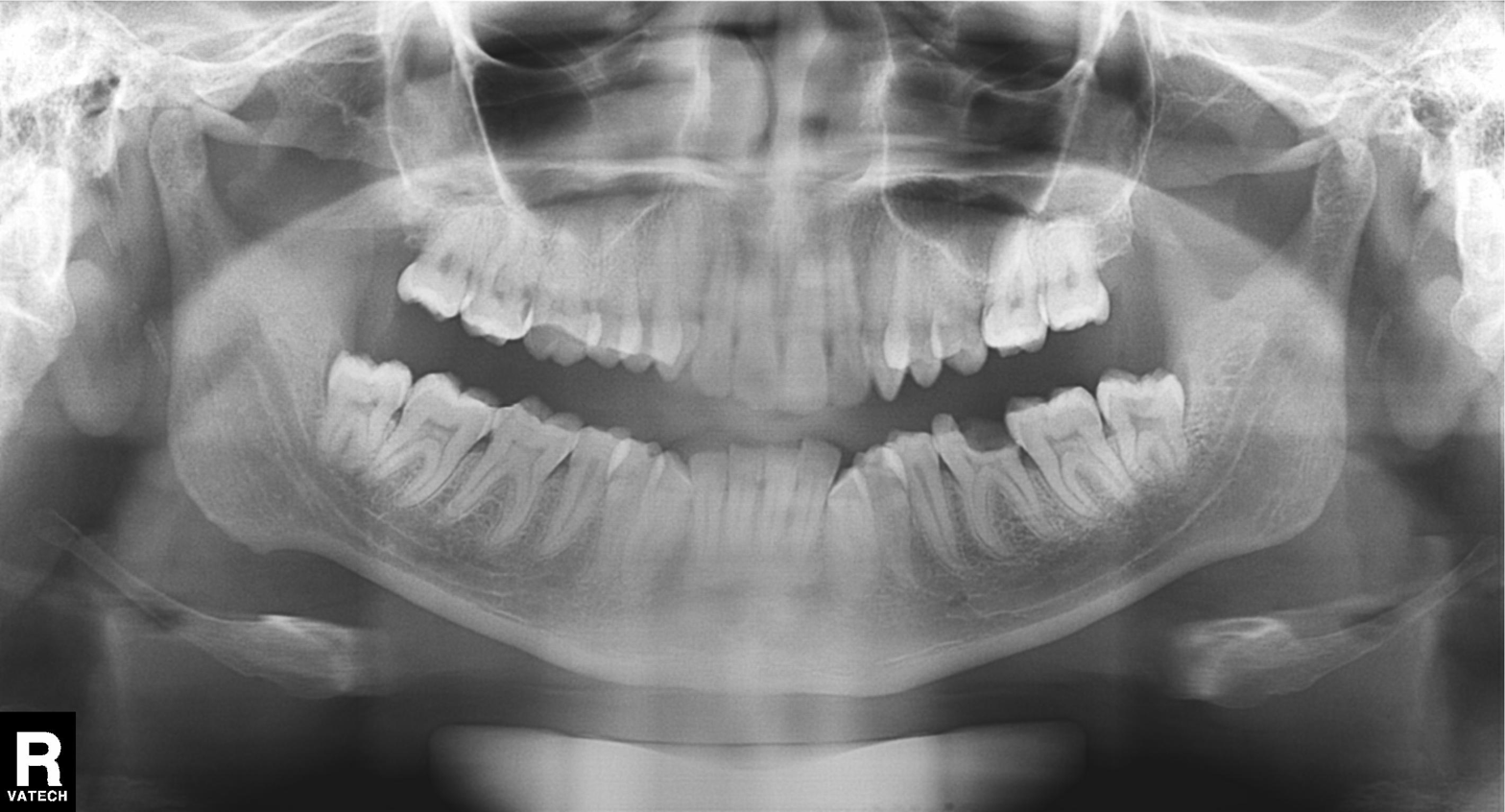
modality: panoramic dental radiograph (orthopantomogram)
finding: dental caries (cavities)